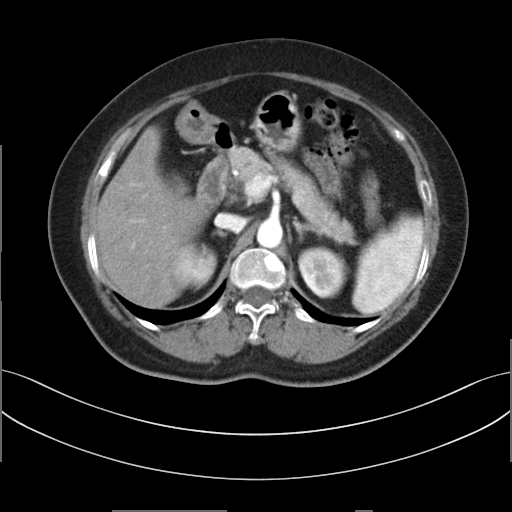
Summary: Multiphase abdominal CT, liver, arterial phase. Patient: female, age 58. History: prior chemotherapy.